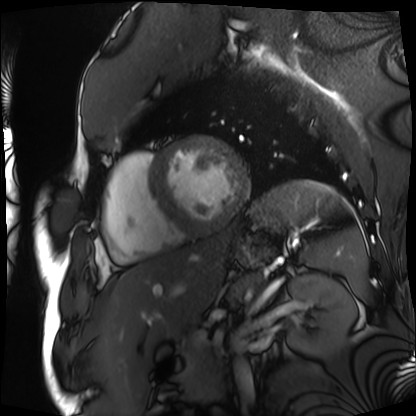
Clinical context: Cardiac MRI. Subject group: patient.